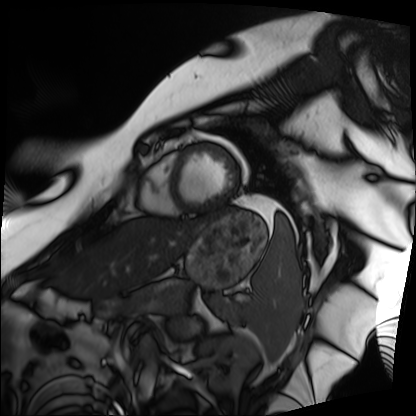
modality=cardiac MRI; subject group=patient.